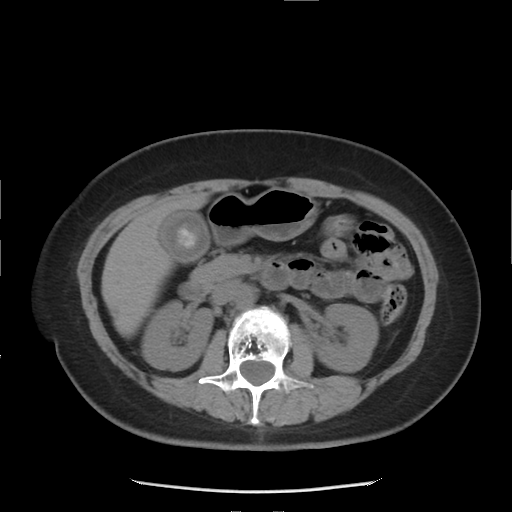
Q: What kind of scan is this?
A: Multiphase abdominal CT, liver, non-contrast phase.
Q: Patient?
A: Female, age 52.